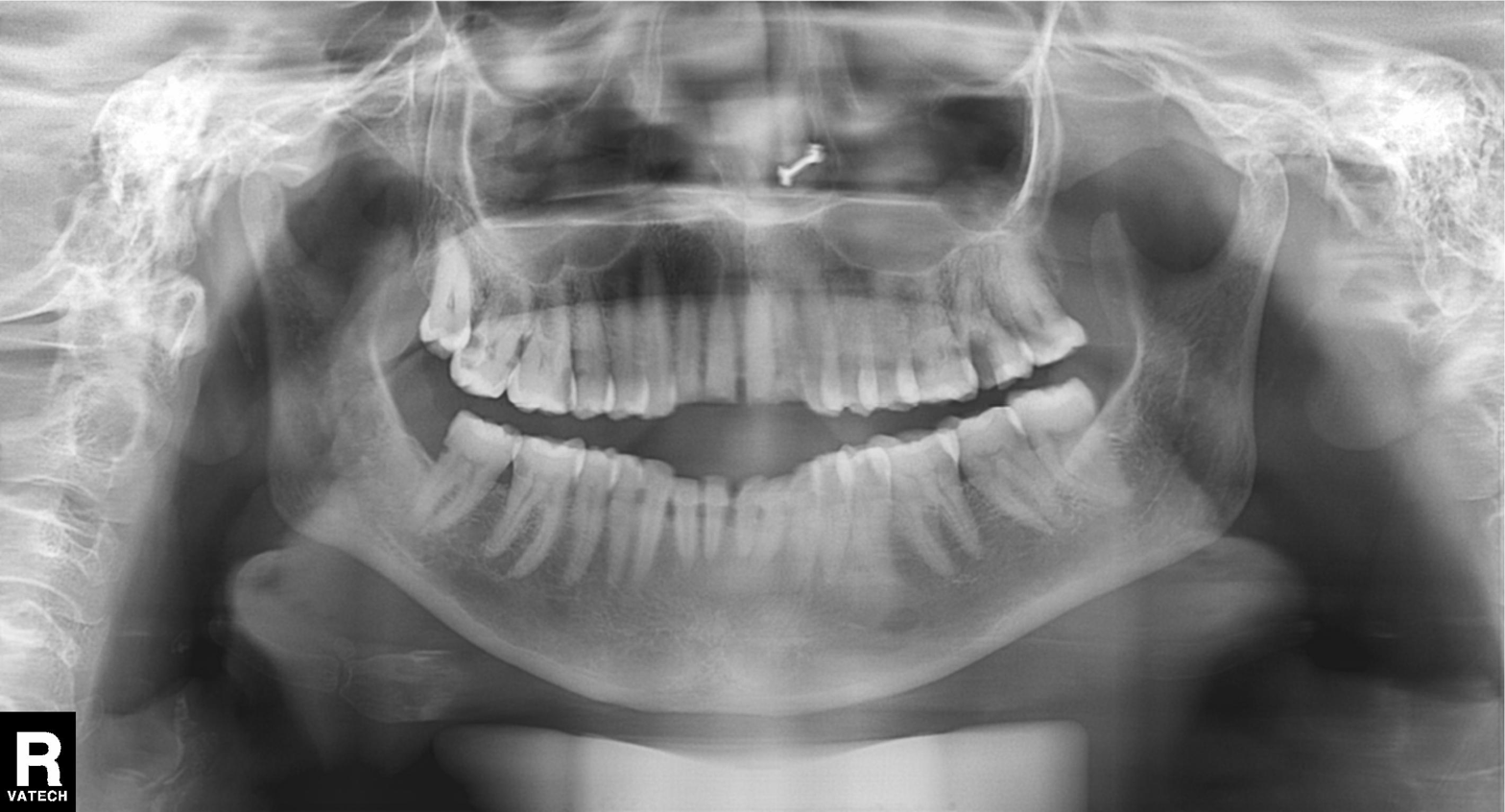
modality — panoramic dental radiograph (orthopantomogram) | finding — tooth impaction.